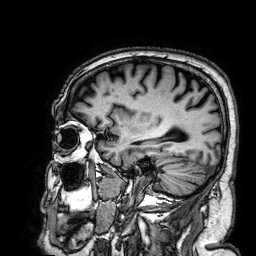
3 Tesla brain MRI. Series: 3D T1-weighted. Study: ring-enhancing brain masses.